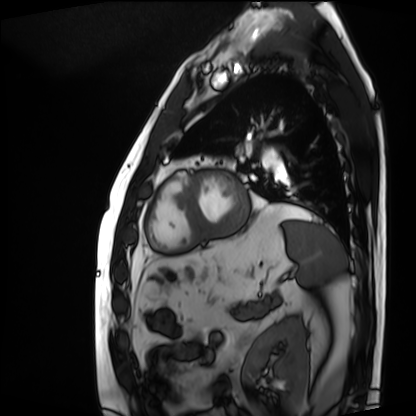
Cardiac MRI. Subject group: patient.